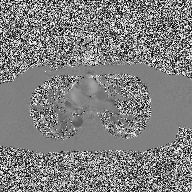
Q: What kind of scan is this?
A: 2D phase-contrast cine MRI of the ascending aorta.